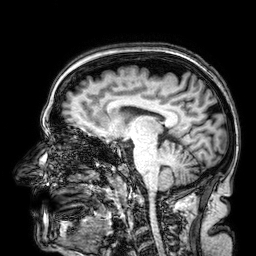
3 Tesla brain MRI. Series: 3D T1-weighted. Study: ring-enhancing brain masses.